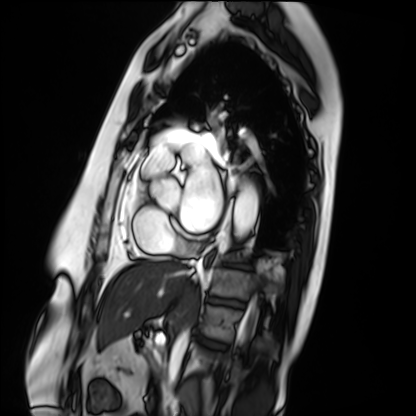
Cardiac MRI. Subject group: patient.